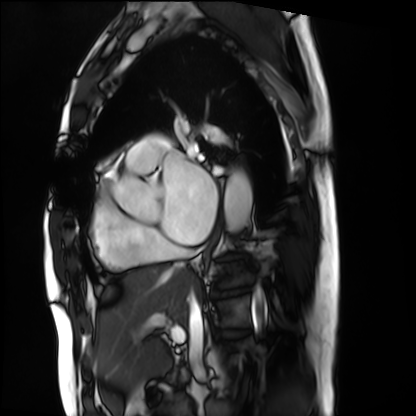
Cardiac MRI. Subject group: patient.